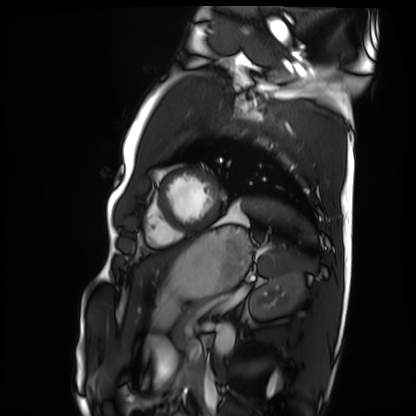
{"modality": "cardiac MRI", "cohort": "healthy volunteer"}